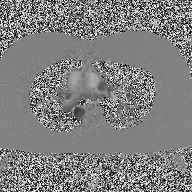
2D phase-contrast cine MRI of the ascending aorta, high-resolution GRAPPA acquisition.